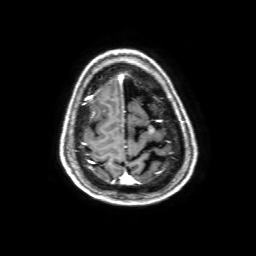
modality = 3 Tesla brain MRI | study = ring-enhancing brain masses.